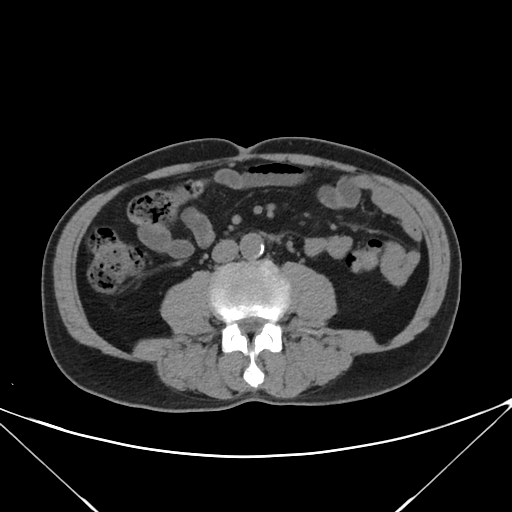
modality = multiphase abdominal CT, liver, non-contrast phase | patient = male, age 68.